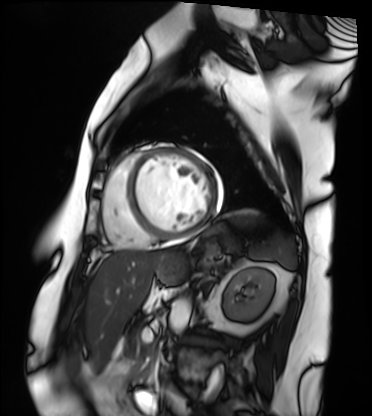
modality: cardiac MRI, subject group: patient.